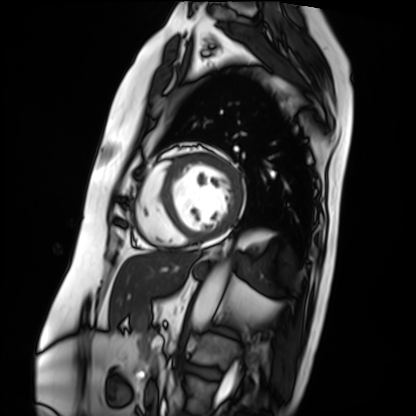
– modality: cardiac MRI
– subject group: patient